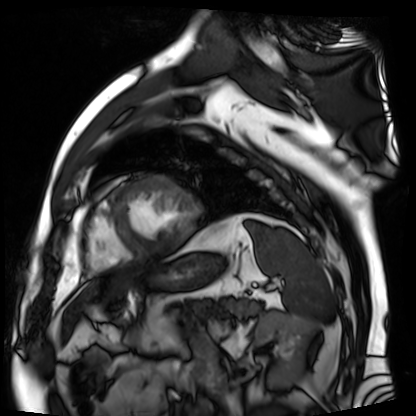
| field | value |
|---|---|
| modality | cardiac MR image of the myocardium |
| subject cohort | cardiac patient |